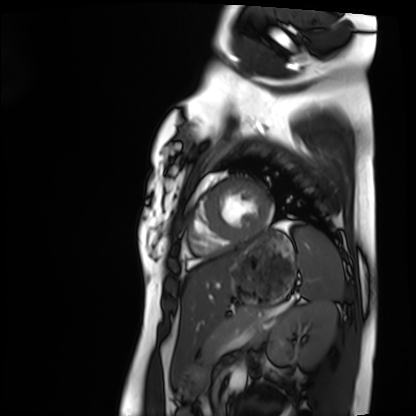
Cardiac MRI. Subject group: healthy volunteer.